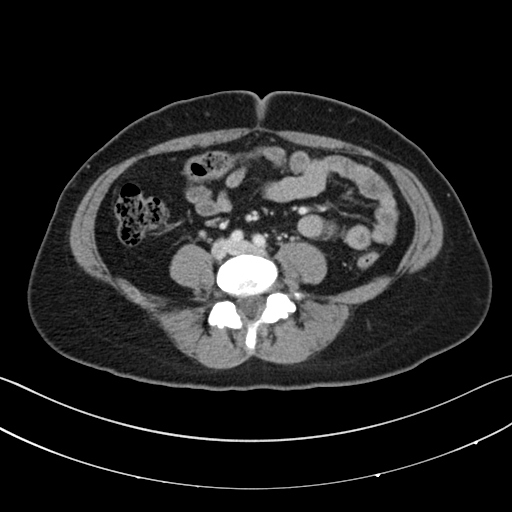
Case summary:
Multiphase abdominal CT, liver, portal venous phase. Patient: female, age 39.